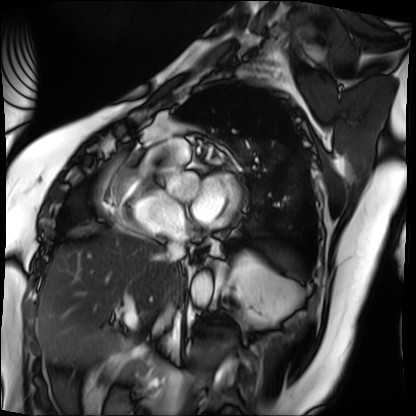
Summary:
Cardiac MRI. Subject group: patient.